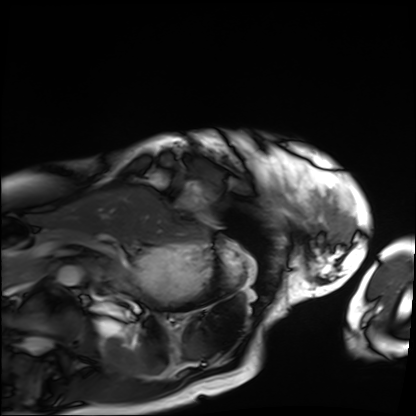
| field | value |
|---|---|
| modality | cardiac MRI |
| subject group | patient |